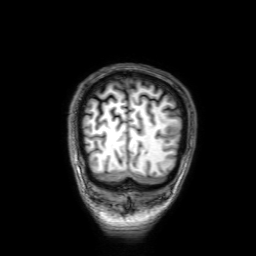
{"modality": {"type": "brain MRI", "field_strength": "3T"}, "series": "3D T1-weighted with SENSE", "study_topic": "ring-enhancing brain masses"}